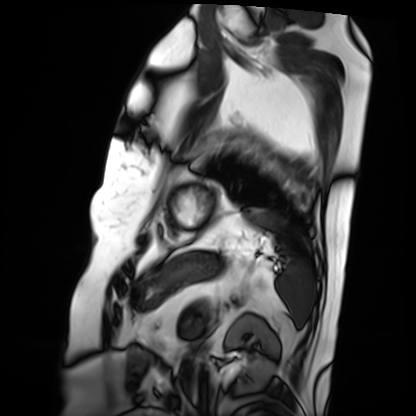
Cardiac MRI.
Subject group: patient.